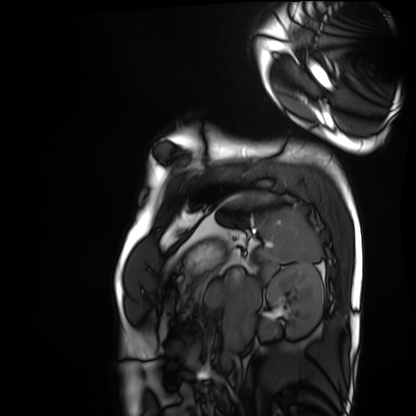
Cardiac MRI.
Subject group: healthy volunteer.